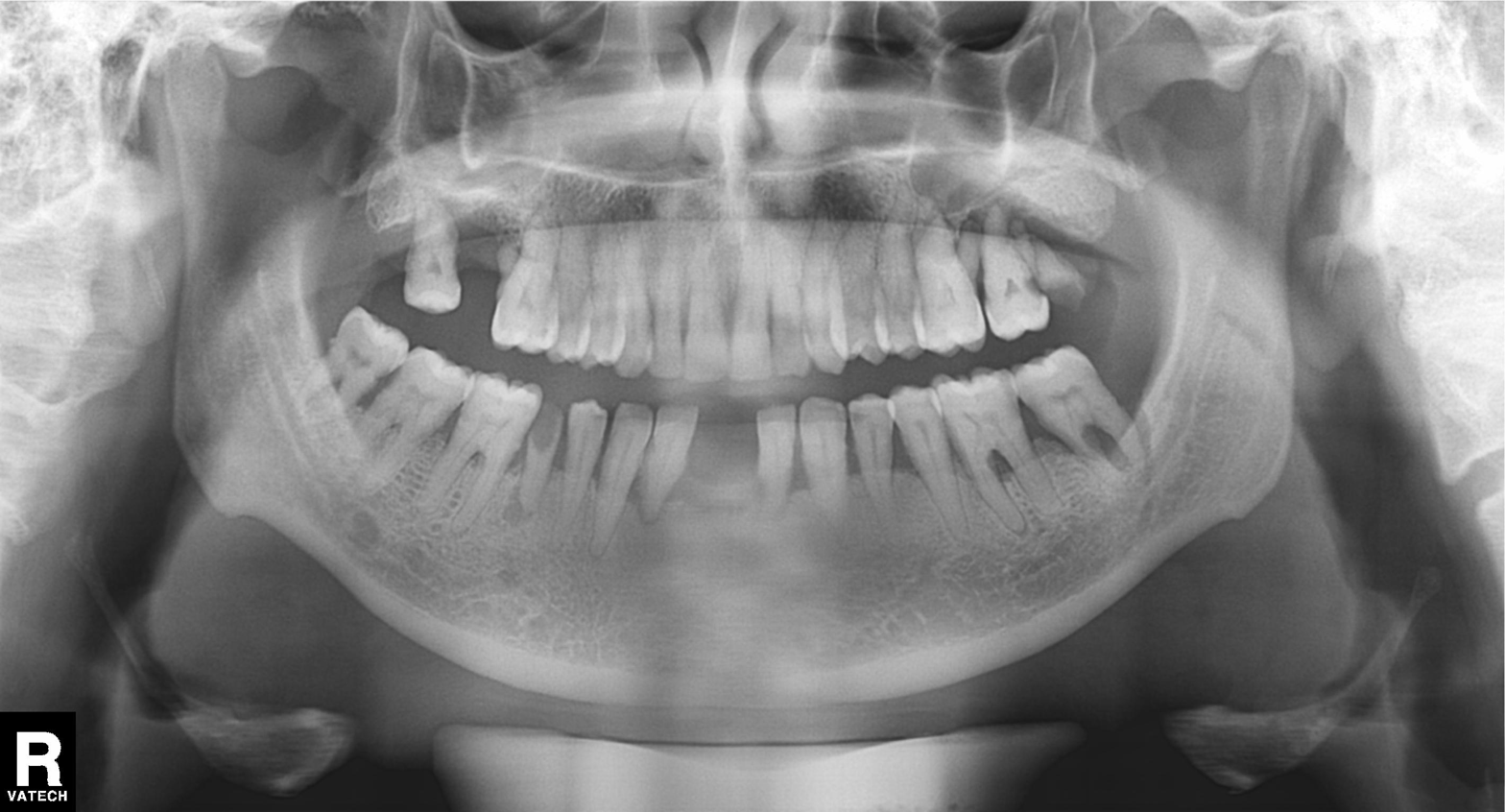
Q: What kind of scan is this?
A: Panoramic dental radiograph (orthopantomogram).
Q: What is the radiographic finding?
A: Alveolar bone loss.